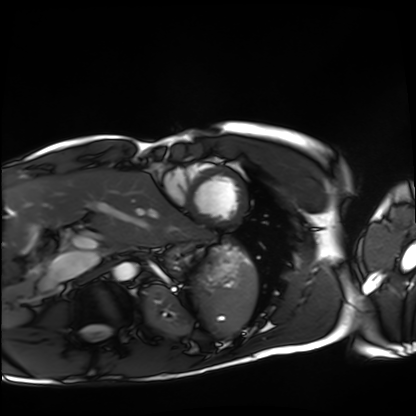
– modality — cardiac MRI
– subject group — healthy volunteer